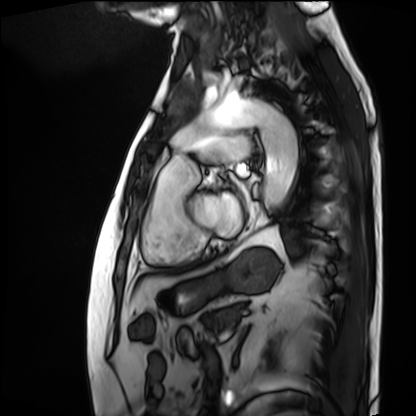
Cardiac MRI. Subject group: patient.